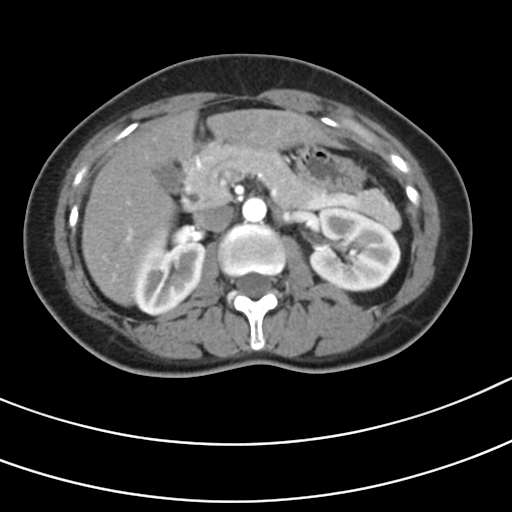
Q: What kind of scan is this?
A: Multiphase abdominal CT, liver, arterial phase.
Q: Patient?
A: Female, age 42.
Q: History?
A: Prior chemotherapy.